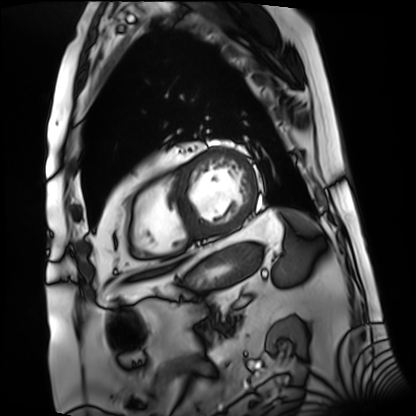
Q: What kind of scan is this?
A: Cardiac MRI.
Subject group: patient.